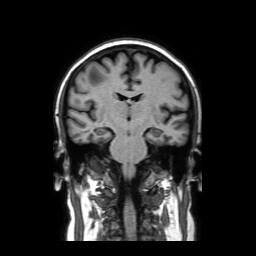
3 Tesla brain MRI.
Series: coronal without contrast.
Study: ring-enhancing brain masses.